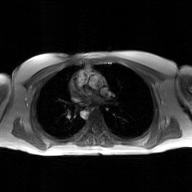
modality:
  type: 2D phase-contrast cine MRI
  region: ascending aorta
  reconstruction: GAN super-resolution reconstruction